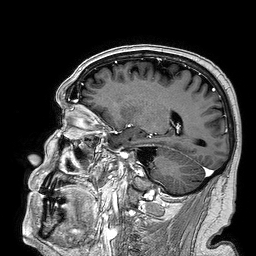
Case:
– modality: 3 Tesla brain MRI
– study: ring-enhancing brain masses